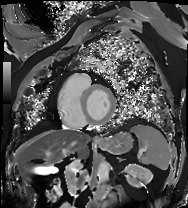
modality = cardiac MRI
subject group = patient